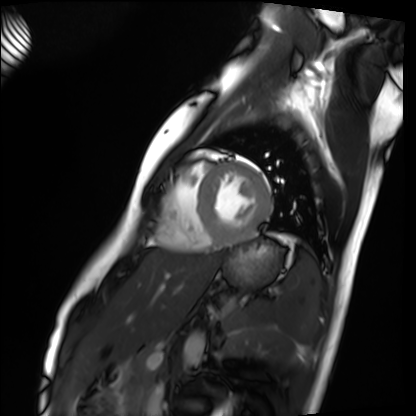
{
  "modality": "cardiac MRI",
  "cohort": "healthy volunteer"
}